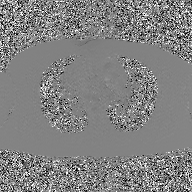
Summary: 2D phase-contrast cine MRI of the ascending aorta, GAN super-resolution reconstruction.